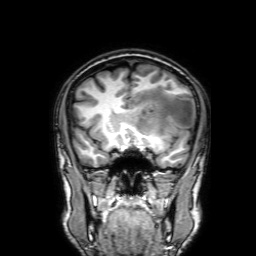
3 Tesla brain MRI.
Series: 3D T1-weighted with SENSE.
Study: ring-enhancing brain masses.